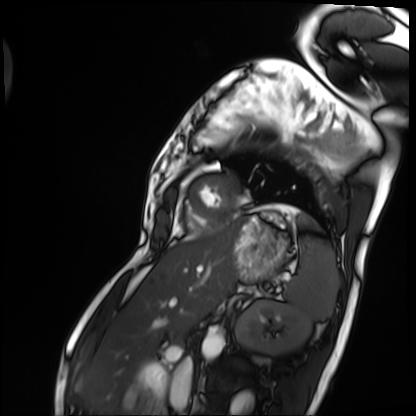
Summary: Cardiac MRI. Subject group: patient.